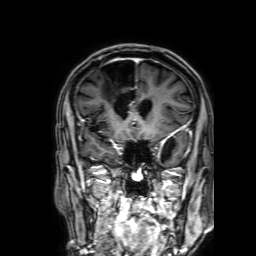
Summary:
3 Tesla brain MRI. Series: 3D T1-weighted with SENSE. Study: ring-enhancing brain masses.